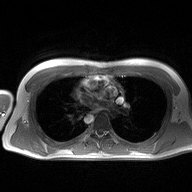
• modality — 2D phase-contrast cine MRI of the ascending aorta